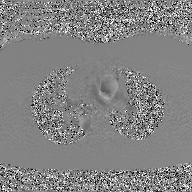
{
  "modality": {
    "type": "2D phase-contrast cine MRI",
    "region": "ascending aorta",
    "reconstruction": "GAN super-resolution reconstruction"
  }
}